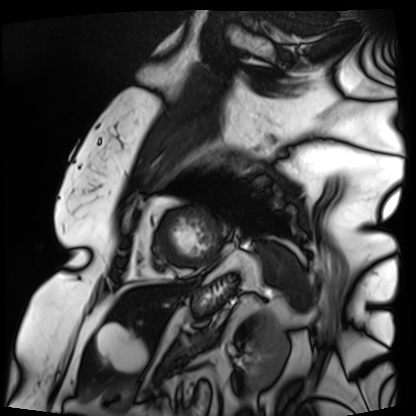
| field | value |
|---|---|
| modality | cardiac MRI |
| subject group | patient |